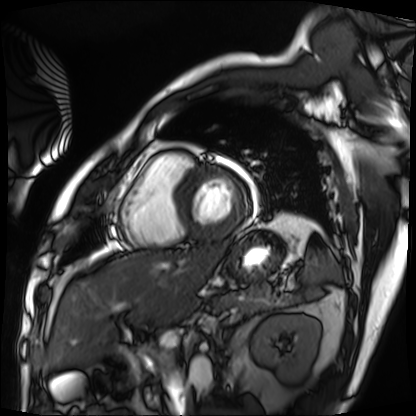
Cardiac MRI. Subject group: patient.